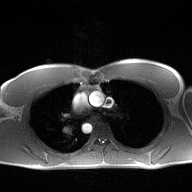
2D phase-contrast cine MRI of the ascending aorta, high-resolution GRAPPA acquisition.